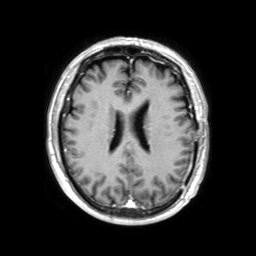
modality:
  type: brain MRI
  field_strength: 3T
series: 3D T1-weighted TFE with SENSE
study_topic: ring-enhancing brain masses